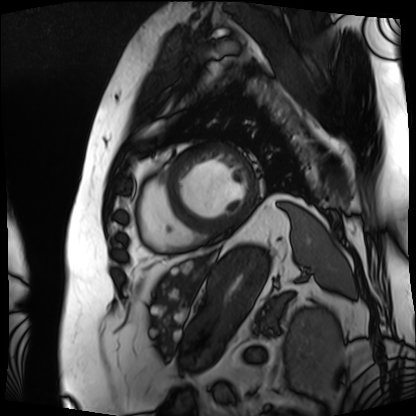
Q: What kind of scan is this?
A: Cardiac MRI.
Subject group: patient.